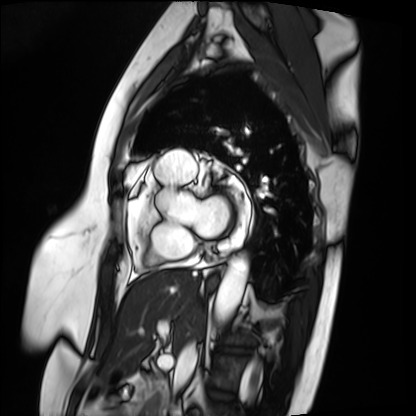
Cardiac MRI. Subject group: patient.